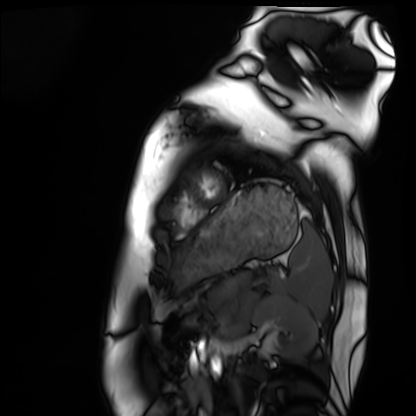
modality — cardiac MRI; subject group — healthy volunteer.